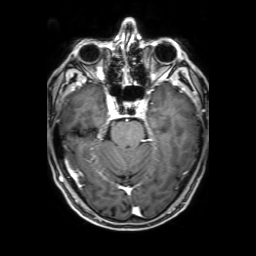
modality: 3 Tesla brain MRI; series: 3D T1-weighted with SENSE; study: ring-enhancing brain masses.